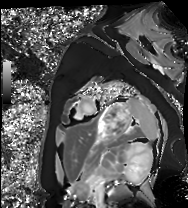
modality = cardiac MRI, subject group = healthy volunteer.